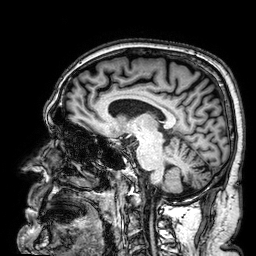
Summary:
3 Tesla brain MRI. Series: 3D T1-weighted. Study: ring-enhancing brain masses.